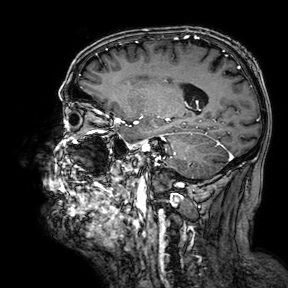
3 Tesla brain MRI. Series: 3D T1-weighted turbo field echo with SENSE. Study: ring-enhancing brain masses.